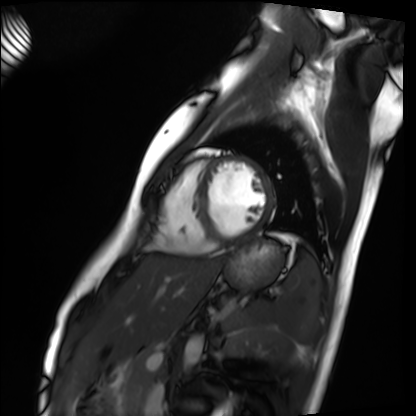
<record>
  <modality>cardiac MRI</modality>
  <cohort>healthy volunteer</cohort>
</record>